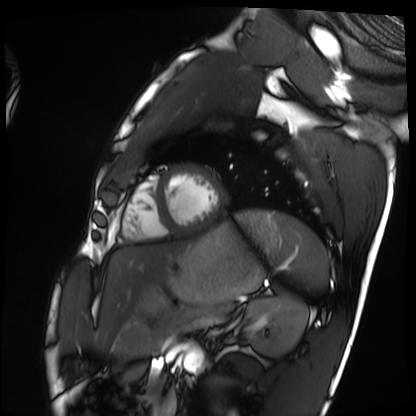
modality=cardiac MRI | subject group=healthy volunteer.